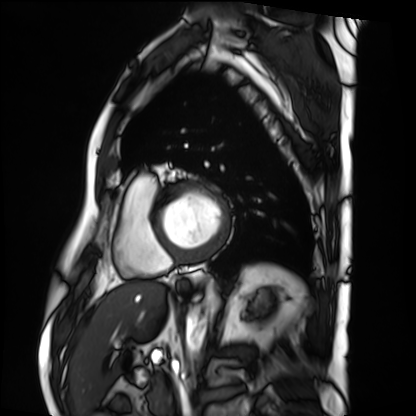
{
  "modality": "cardiac MRI",
  "cohort": "patient"
}